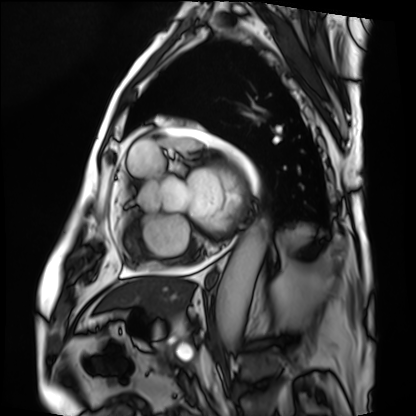
modality: cardiac MRI
subject group: patient